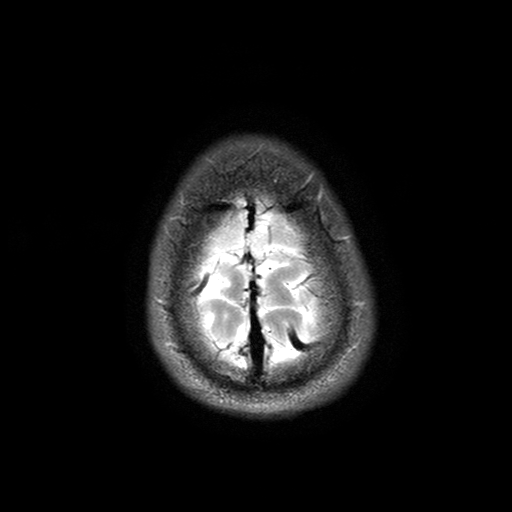
Summary: 3 Tesla brain MRI. Series: T2-weighted turbo spin echo with SENSE. Study: ring-enhancing brain masses.